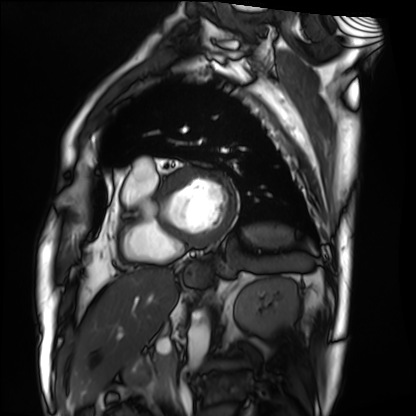
Cardiac MRI. Subject group: patient.